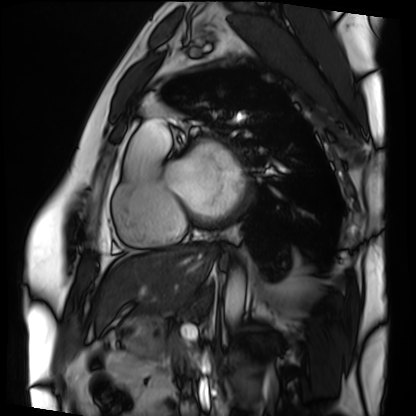
• modality — cardiac MRI
• subject group — patient